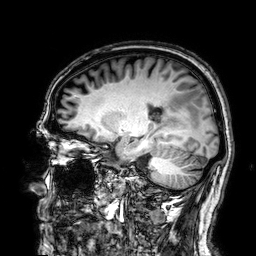
<case>
<modality>
  <type>brain MRI</type>
  <field_strength>3T</field_strength>
</modality>
<series>3D T1-weighted</series>
<study_topic>ring-enhancing brain masses</study_topic>
</case>